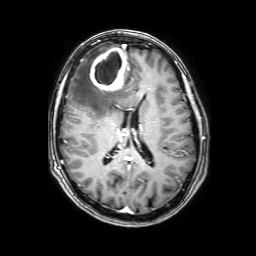
{"modality": {"type": "brain MRI", "field_strength": "3T"}, "series": "3D T1-weighted with SENSE", "study_topic": "ring-enhancing brain masses"}